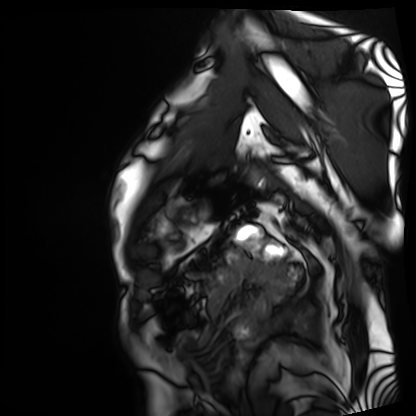
• modality · cardiac MRI
• subject group · patient